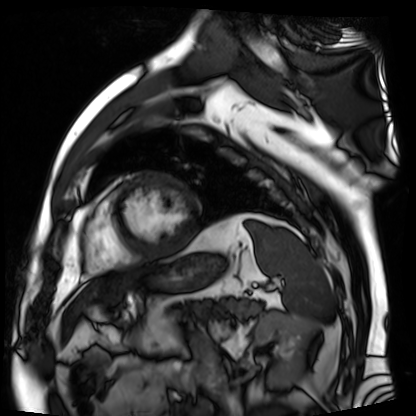
  modality: cardiac MR image of the myocardium
  cohort: cardiac patient